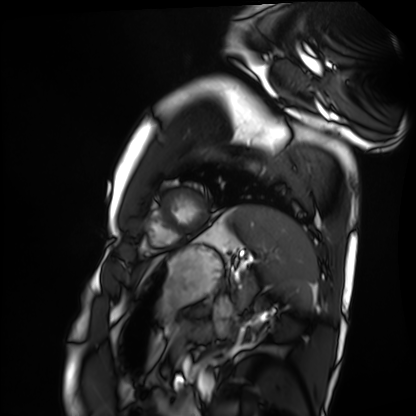
Cardiac MRI. Subject group: healthy volunteer.